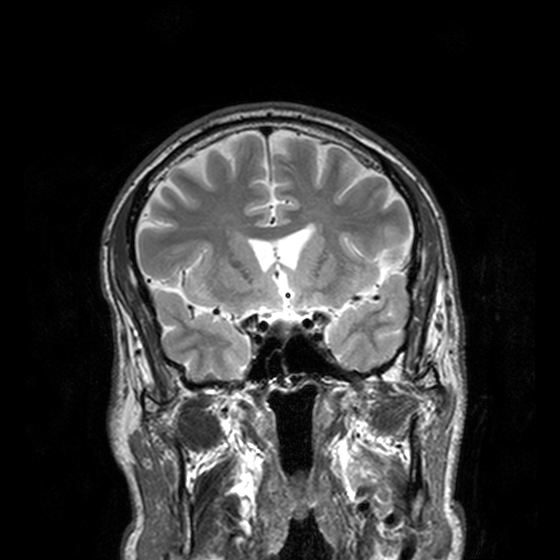
3 Tesla brain MRI.
Series: T2-weighted turbo spin echo, 3 mm.
Study: ring-enhancing brain masses.